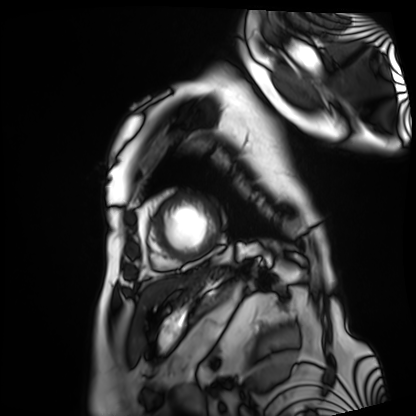
{"modality": "cardiac MRI", "cohort": "patient"}